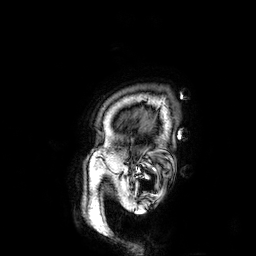
{"modality": {"type": "brain MRI", "field_strength": "3T"}, "study_topic": "ring-enhancing brain masses"}